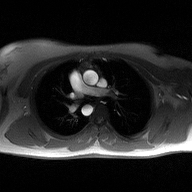
modality = 2D phase-contrast cine MRI of the ascending aorta.